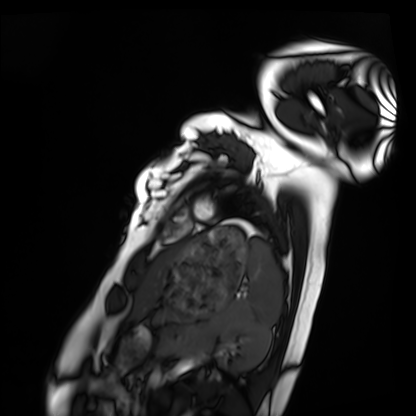
modality = cardiac MRI
subject group = healthy volunteer